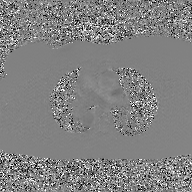
<record>
<modality>
  <type>2D phase-contrast cine MRI</type>
  <region>ascending aorta</region>
  <reconstruction>GAN super-resolution reconstruction</reconstruction>
</modality>
</record>